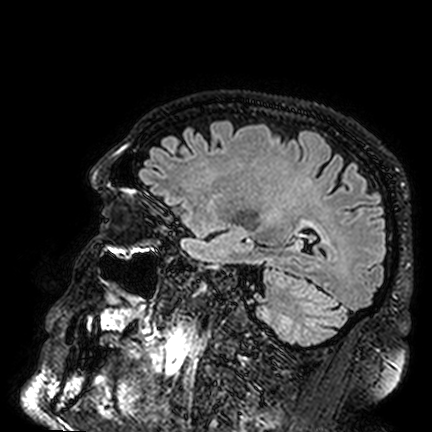
Case:
* modality · 3 Tesla brain MRI
* series · FLAIR VISTA
* study · ring-enhancing brain masses